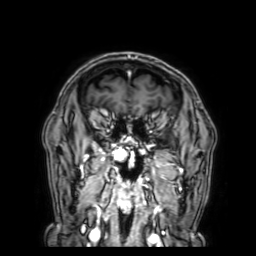
modality: 3 Tesla brain MRI; series: 3D T1-weighted with SENSE; study: ring-enhancing brain masses.